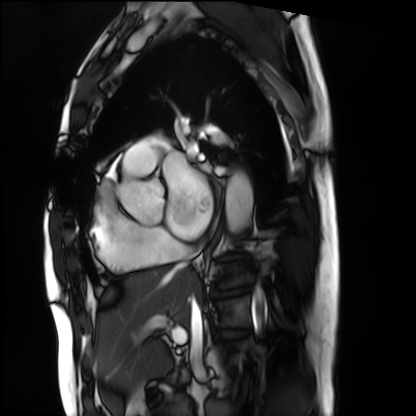
Case summary:
Cardiac MRI. Subject group: patient.